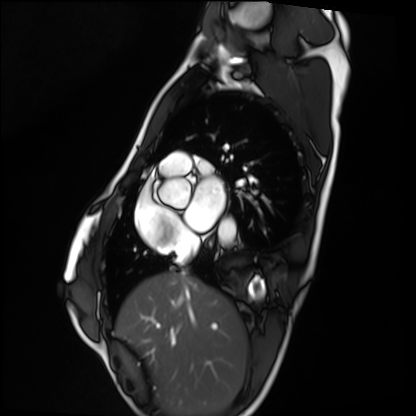
Summary: Cardiac MRI. Subject group: healthy volunteer.